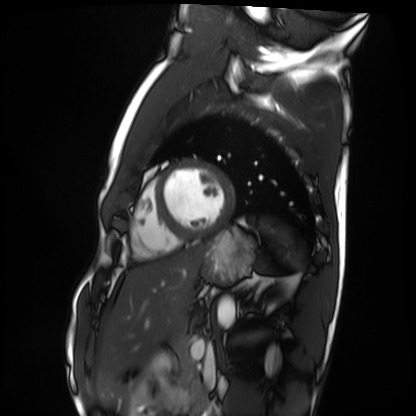
modality: cardiac MRI | subject group: healthy volunteer.